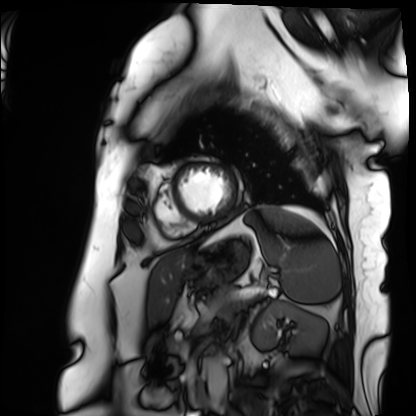
Summary:
Cardiac MRI. Subject group: patient.